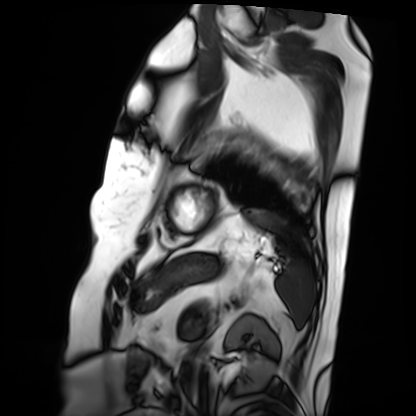
Cardiac MRI.
Subject group: patient.